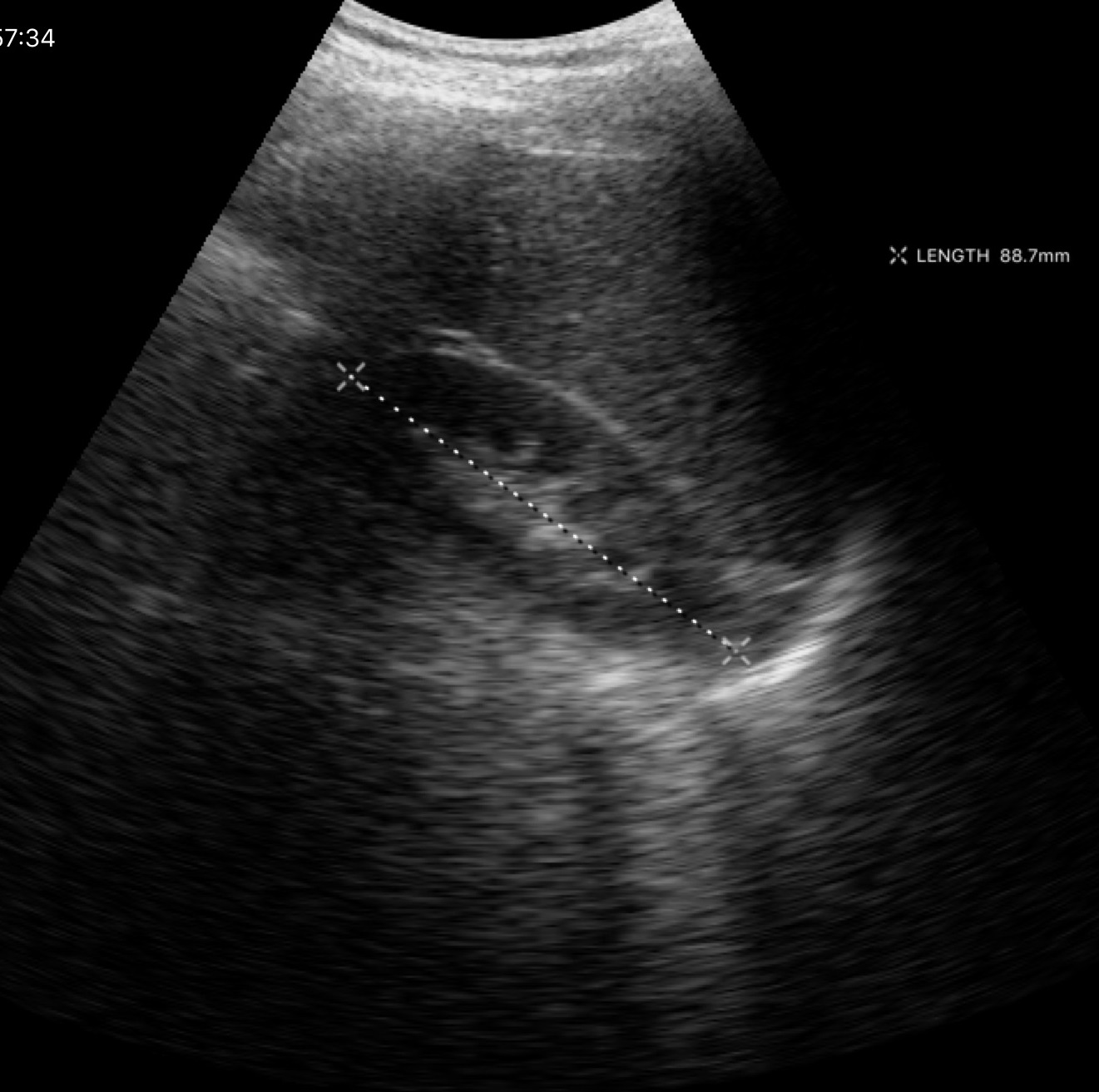
Summary: Genitourinary ultrasound.